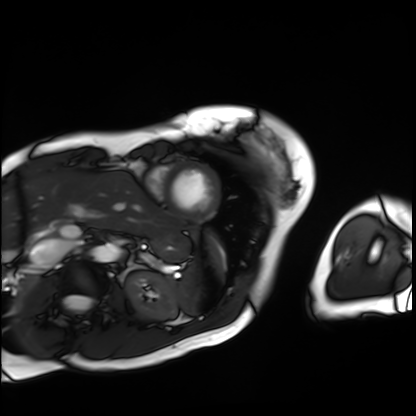
modality: cardiac MRI
cohort: patient